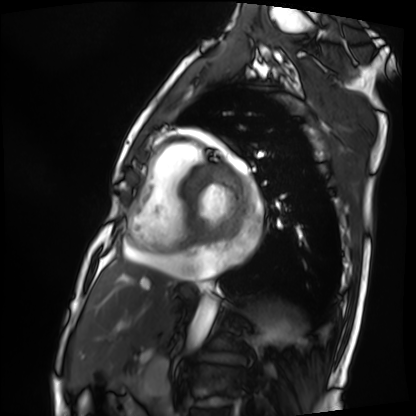
Summary:
Cardiac MRI. Subject group: patient.